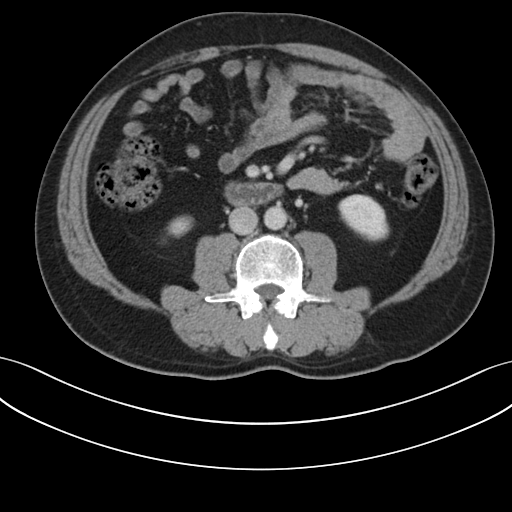
Summary: Multiphase abdominal CT, liver, portal venous phase. Patient: male, age 48.